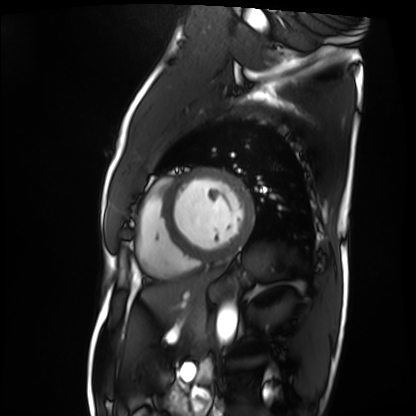
Cardiac MRI.
Subject group: patient.